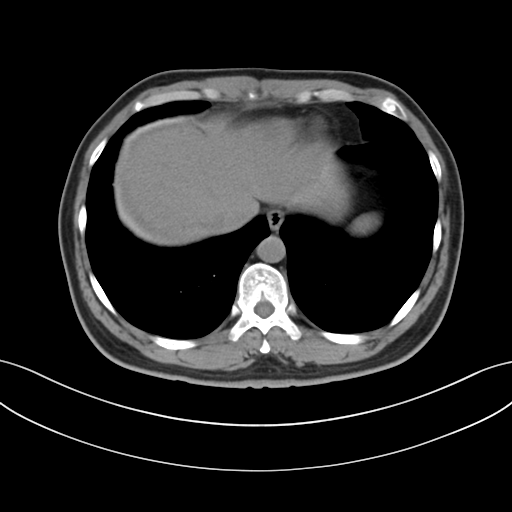
Summary:
Multiphase abdominal CT, liver, non-contrast phase. Patient: male, age 38.